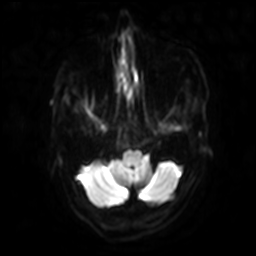
Q: What kind of scan is this?
A: 3 Tesla brain MRI.
Q: Series?
A: Diffusion-weighted imaging with SENSE (WIP).
Study: ring-enhancing brain masses.